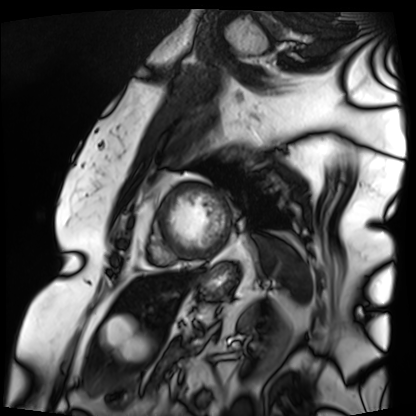
Cardiac MRI. Subject group: patient.